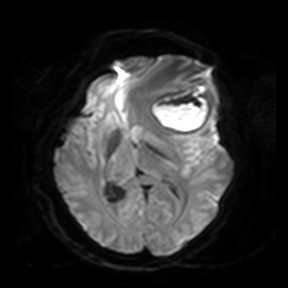
3 Tesla brain MRI. Series: diffusion-weighted imaging. Study: ring-enhancing brain masses.